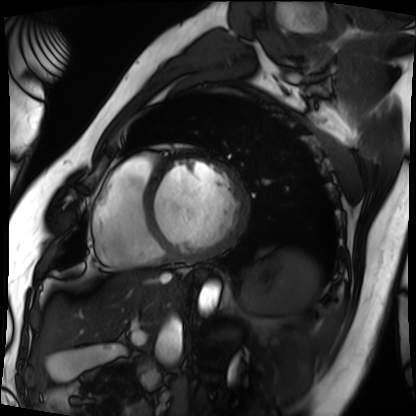
modality: cardiac MRI
cohort: patient